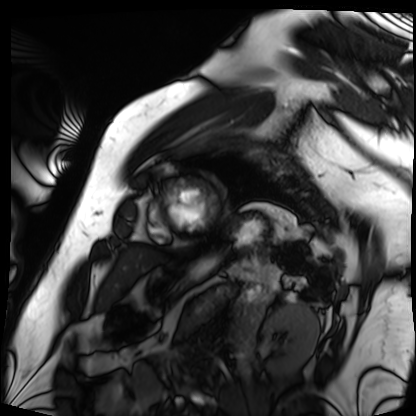
modality: cardiac MRI | subject group: patient.